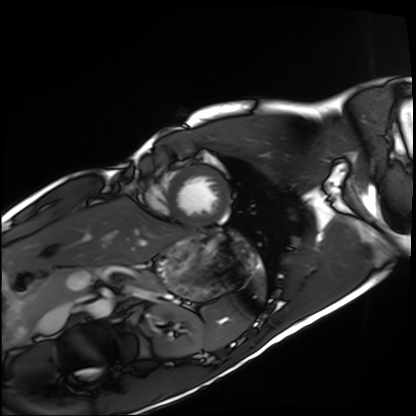
modality: cardiac MRI
subject group: healthy volunteer